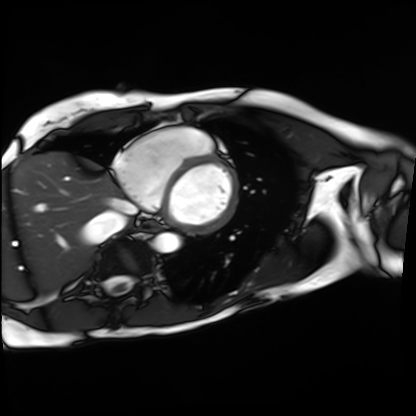
modality = cardiac MRI, subject group = patient.